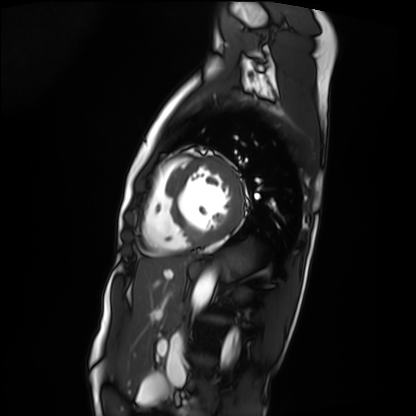
{"modality": "cardiac MRI", "cohort": "patient"}